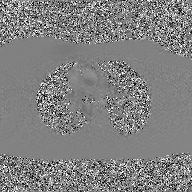
| field | value |
|---|---|
| modality | 2D phase-contrast cine MRI of the ascending aorta, GAN super-resolution reconstruction |